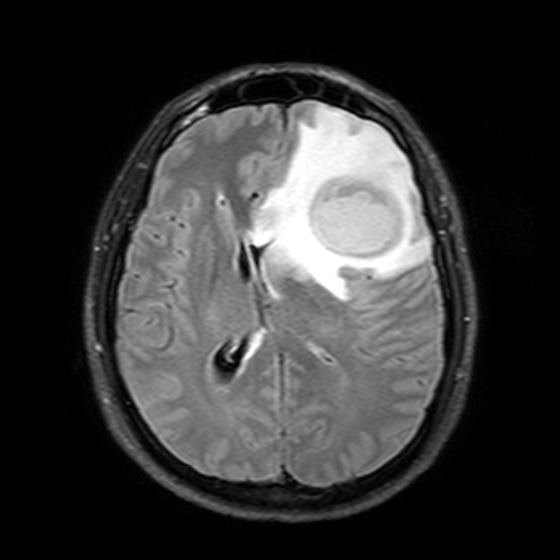
3 Tesla brain MRI. Study: ring-enhancing brain masses.